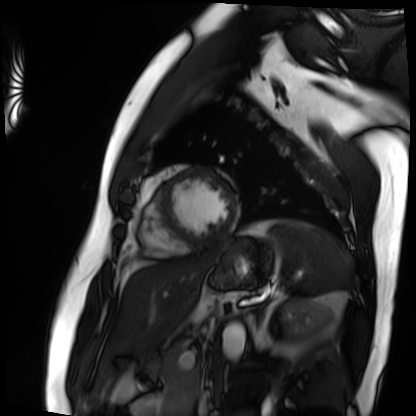
Q: What kind of scan is this?
A: Cardiac MRI.
Subject group: patient.